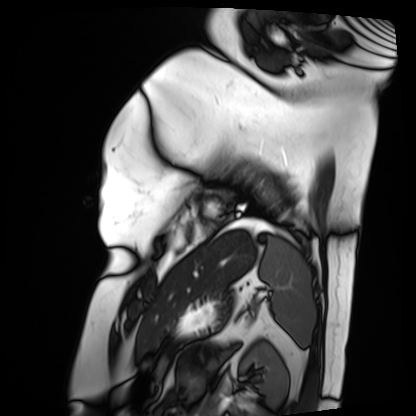
<case>
  <modality>cardiac MRI</modality>
  <cohort>patient</cohort>
</case>